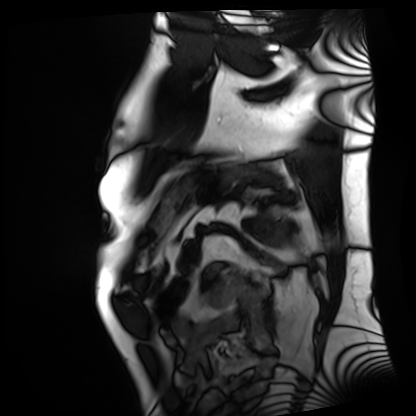
modality = cardiac MRI; subject group = patient.